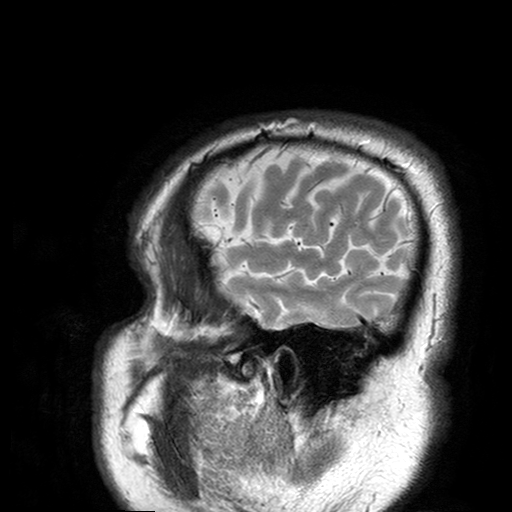
modality: 3 Tesla brain MRI; series: T2-weighted turbo spin echo with SENSE; study: ring-enhancing brain masses.